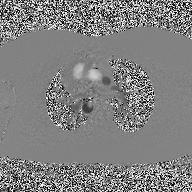
modality = 2D phase-contrast cine MRI of the ascending aorta.